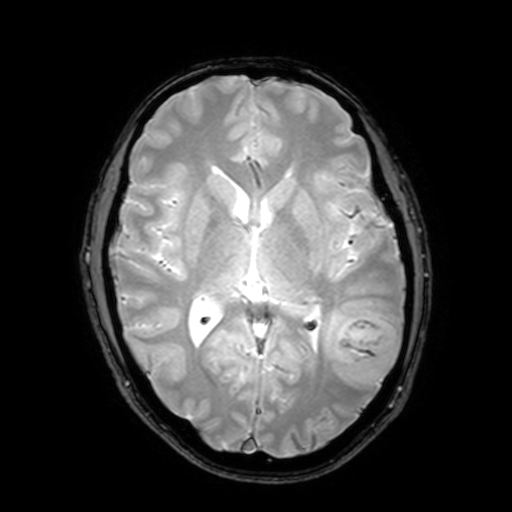
3 Tesla brain MRI. Series: T2-weighted fast field echo with SENSE. Study: ring-enhancing brain masses.